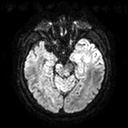
modality = 3 Tesla brain MRI
series = diffusion tensor imaging (medium iso)
study = ring-enhancing brain masses